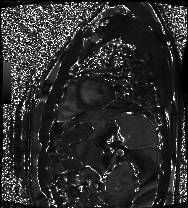
Summary:
Cardiac MRI. Subject group: patient.